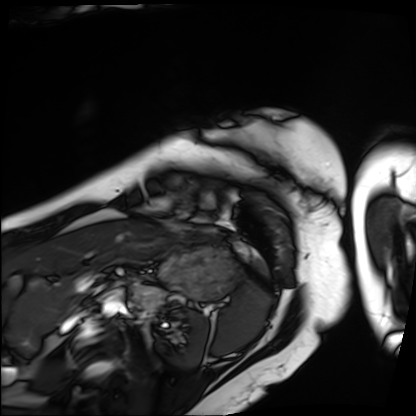
| field | value |
|---|---|
| modality | cardiac MRI |
| subject group | patient |